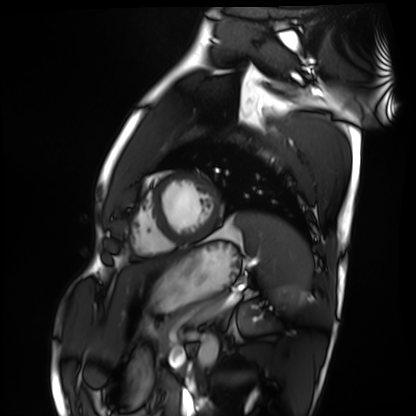
Cardiac MRI. Subject group: healthy volunteer.